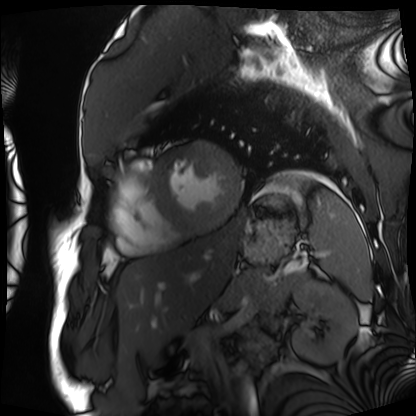
Cardiac MRI. Subject group: patient.